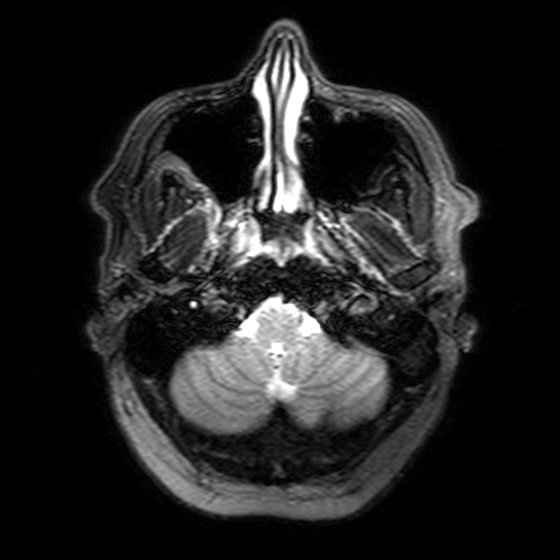
Q: What kind of scan is this?
A: 3 Tesla brain MRI.
Q: Series?
A: T2-weighted FLAIR.
Study: ring-enhancing brain masses.